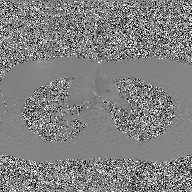
Case summary:
2D phase-contrast cine MRI of the ascending aorta, GAN super-resolution reconstruction.